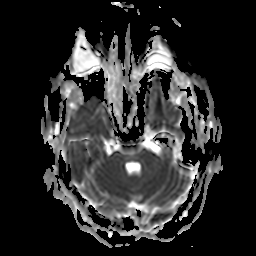
3 Tesla brain MRI.
Series: apparent diffusion coefficient (ADC) map.
Study: ring-enhancing brain masses.